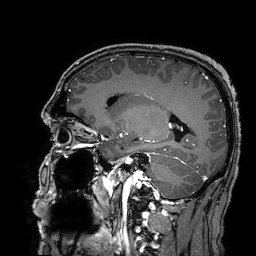
3 Tesla brain MRI. Series: 3D T1-weighted turbo field echo with SENSE. Study: ring-enhancing brain masses.